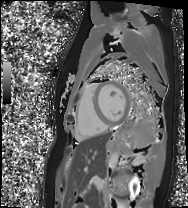
• modality — cardiac MRI
• subject group — healthy volunteer